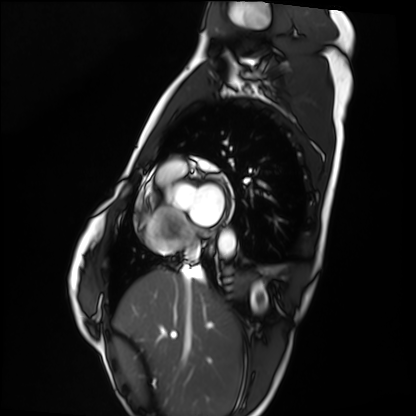
Cardiac MRI.
Subject group: healthy volunteer.